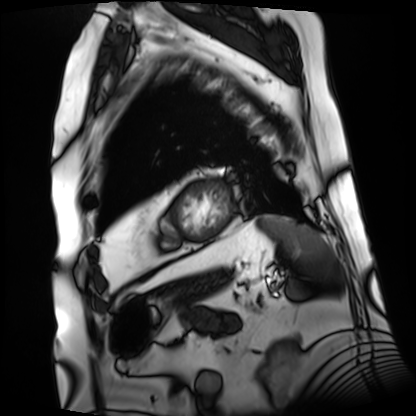
Cardiac MRI.
Subject group: patient.